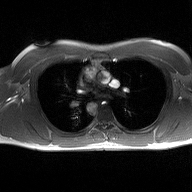
Summary: 2D phase-contrast cine MRI of the ascending aorta, high-resolution GRAPPA acquisition.